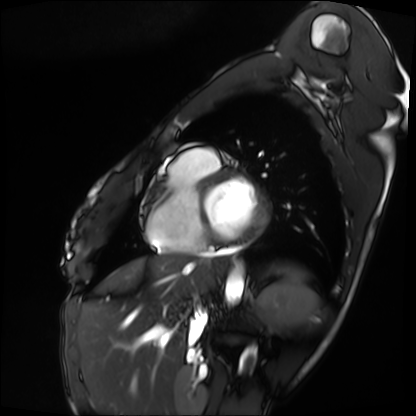
Case:
– modality: cardiac MRI
– subject group: patient